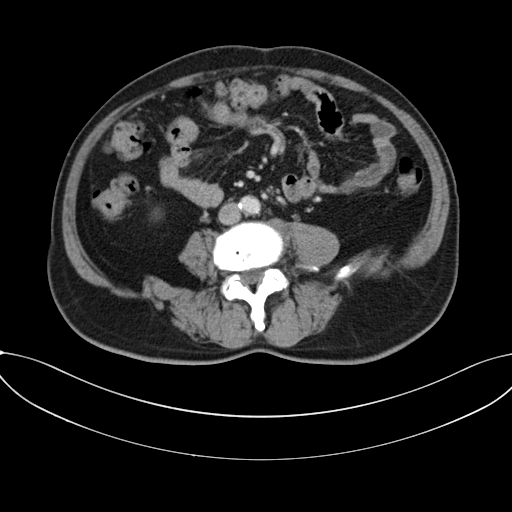
modality:
  type: multiphase abdominal CT
  region: liver
  phase: portal venous
patient:
  sex: male
  age: 62